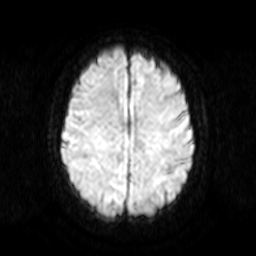
{
  "modality": {
    "type": "brain MRI",
    "field_strength": "3T"
  },
  "series": "diffusion-weighted imaging",
  "study_topic": "ring-enhancing brain masses"
}